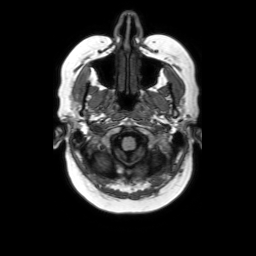
Q: What kind of scan is this?
A: 3 Tesla brain MRI.
Q: Series?
A: Axial without contrast.
Study: ring-enhancing brain masses.